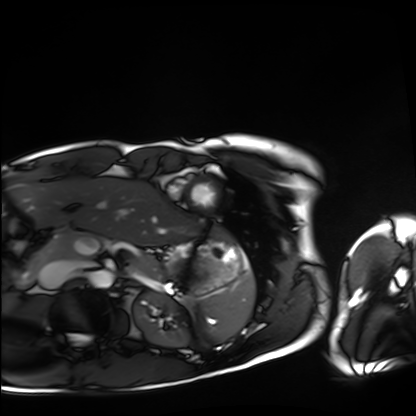
Cardiac MRI. Subject group: healthy volunteer.